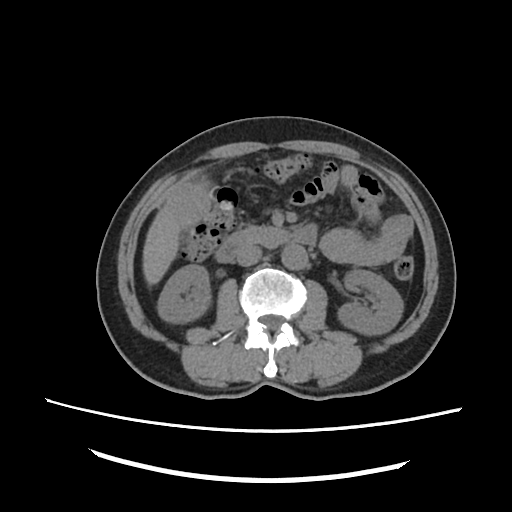
Summary: Multiphase abdominal CT, liver, non-contrast phase. Patient: male, age 72.